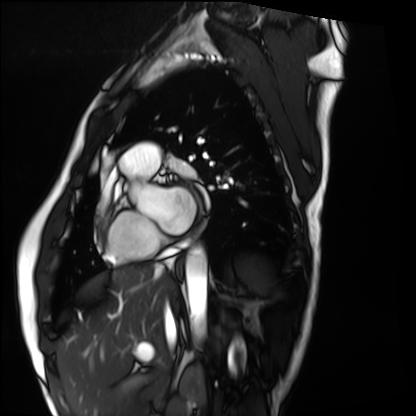
modality — cardiac MRI | subject group — healthy volunteer.